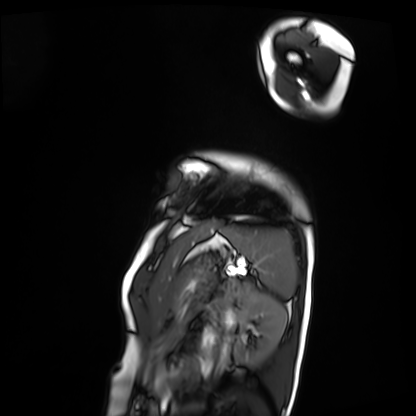
Clinical context: Cardiac MRI. Subject group: patient.